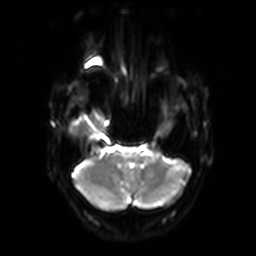
modality — 3 Tesla brain MRI; series — diffusion-weighted imaging with SENSE (WIP); study — ring-enhancing brain masses.